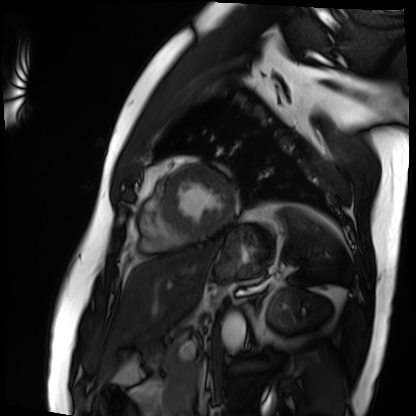
| field | value |
|---|---|
| modality | cardiac MRI |
| subject group | patient |